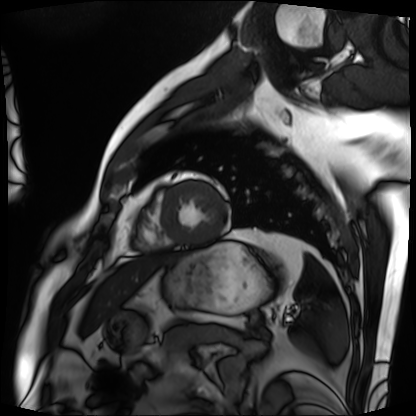
| field | value |
|---|---|
| modality | cardiac MRI |
| subject group | patient |